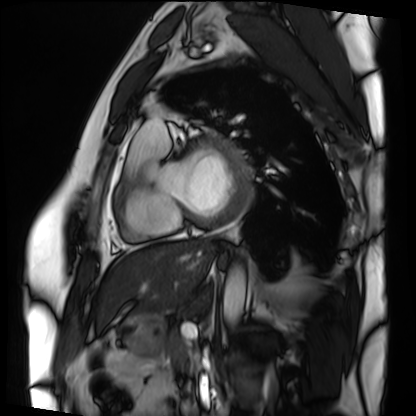
Clinical context: Cardiac MRI. Subject group: patient.